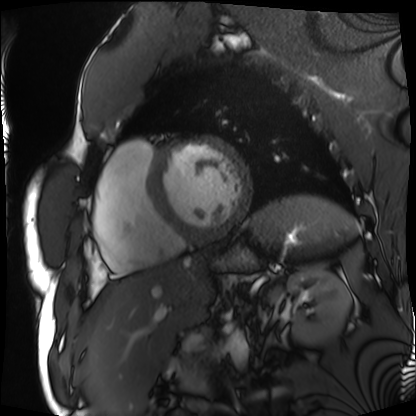
modality: cardiac MRI
cohort: patient